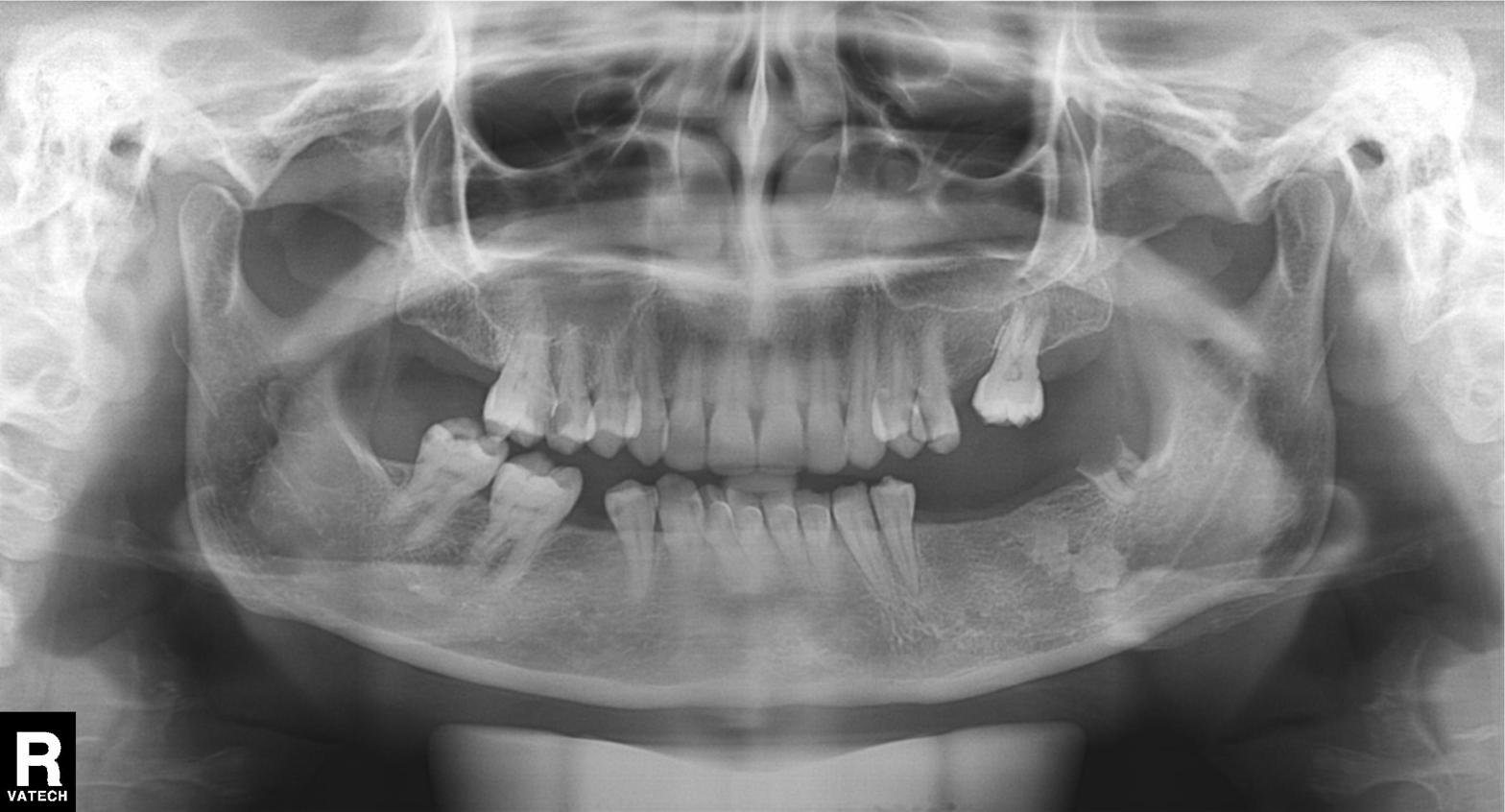
Panoramic dental radiograph (orthopantomogram). Finding: dental caries (cavities).